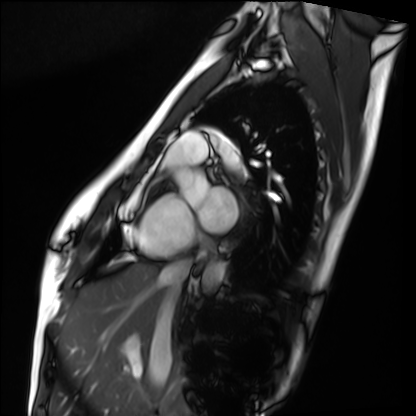
Summary:
Cardiac MRI. Subject group: healthy volunteer.